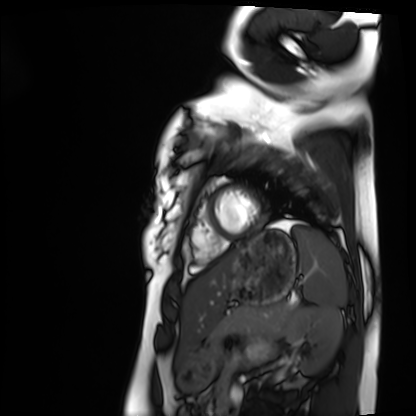
Summary: Cardiac MRI. Subject group: healthy volunteer.